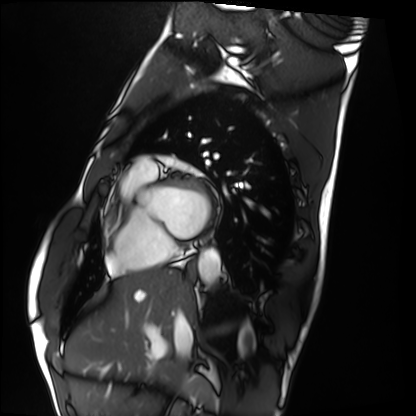
Summary: Cardiac MRI. Subject group: healthy volunteer.